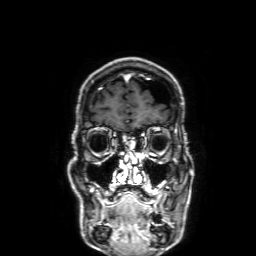
Summary: 3 Tesla brain MRI. Series: 3D T1-weighted with SENSE. Study: ring-enhancing brain masses.